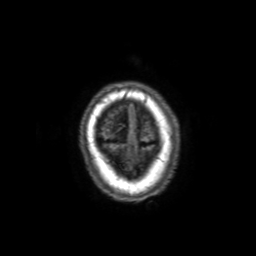
3 Tesla brain MRI. Series: 3D T1-weighted with SENSE. Study: ring-enhancing brain masses.